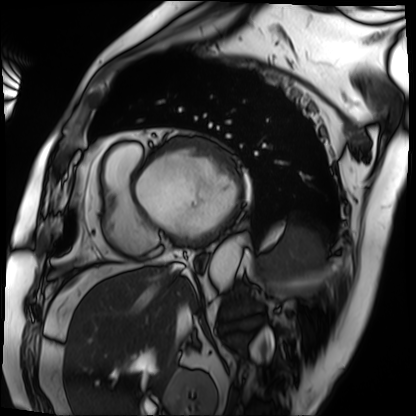
modality: cardiac MRI; subject group: patient.